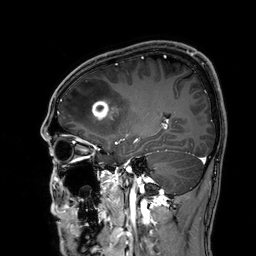
3 Tesla brain MRI.
Series: 3D T1-weighted.
Study: ring-enhancing brain masses.